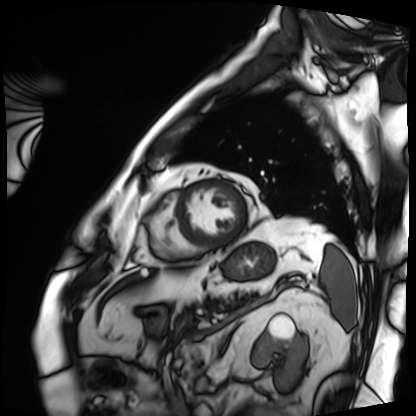
modality: cardiac MRI, subject group: patient.